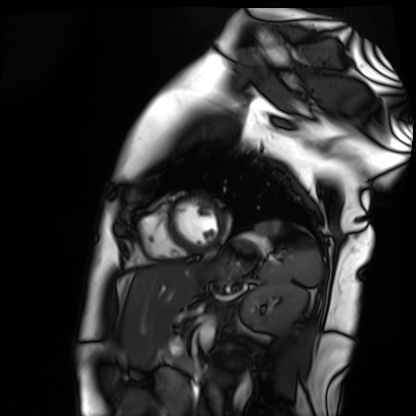
Cardiac MR image of the myocardium.
Subject cohort: healthy volunteer.